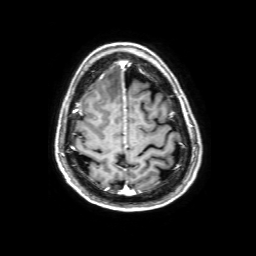
Case summary:
3 Tesla brain MRI. Series: 3D T1-weighted with SENSE. Study: ring-enhancing brain masses.